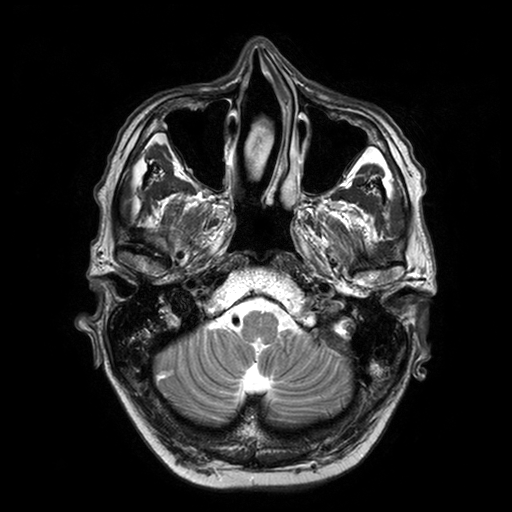
| field | value |
|---|---|
| modality | 3 Tesla brain MRI |
| series | T2-weighted turbo spin echo with SENSE |
| study | ring-enhancing brain masses |